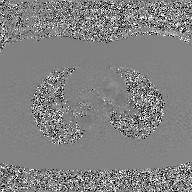
2D phase-contrast cine MRI of the ascending aorta, GAN super-resolution reconstruction.